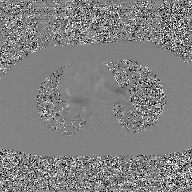
2D phase-contrast cine MRI of the ascending aorta, GAN super-resolution reconstruction.